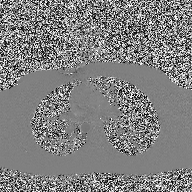
Summary:
2D phase-contrast cine MRI of the ascending aorta, high-resolution GRAPPA acquisition.